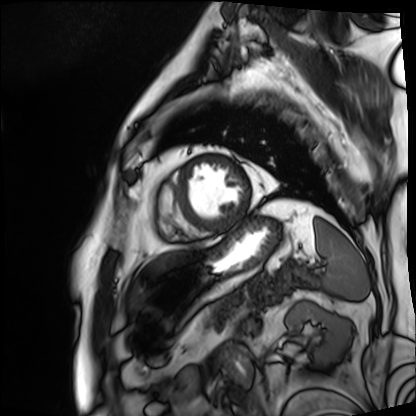
  modality: cardiac MRI
  cohort: patient